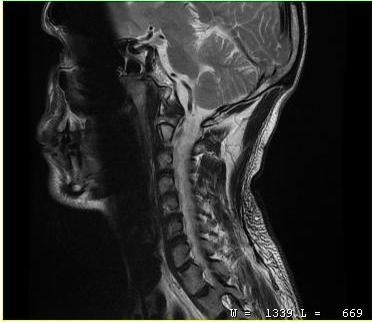
modality: MRI of the cervical spine; study: cervical spondylosis.